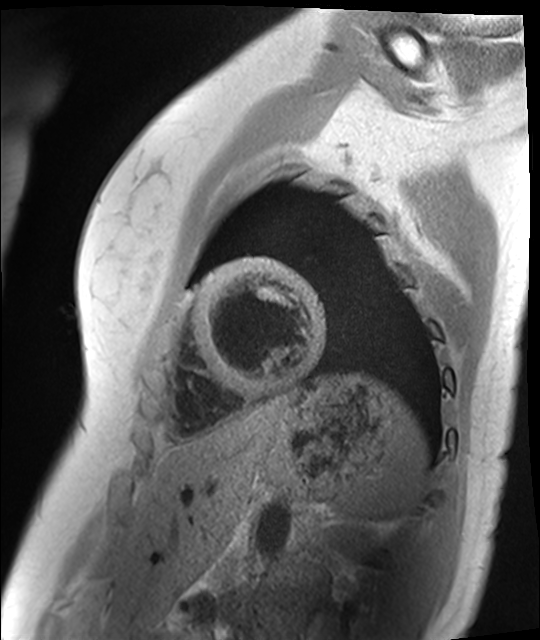
Cardiac MR image of the myocardium. Subject cohort: healthy volunteer.